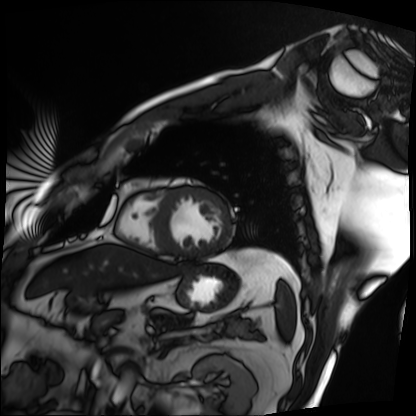
Summary: Cardiac MRI. Subject group: patient.